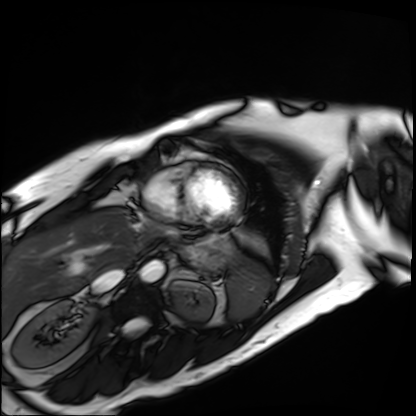
<study>
<modality>cardiac MRI</modality>
<cohort>patient</cohort>
</study>